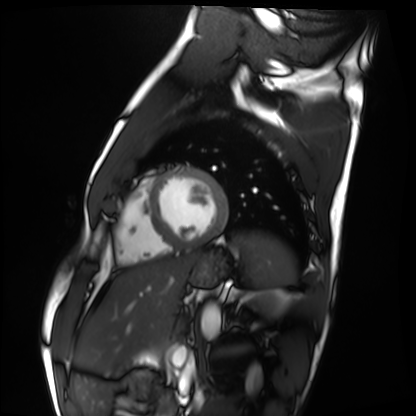
Cardiac MRI.
Subject group: healthy volunteer.